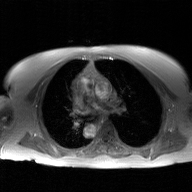
2D phase-contrast cine MRI of the ascending aorta, GAN super-resolution reconstruction.